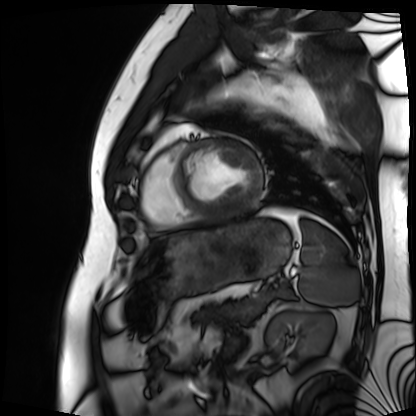
modality: cardiac MRI
cohort: patient